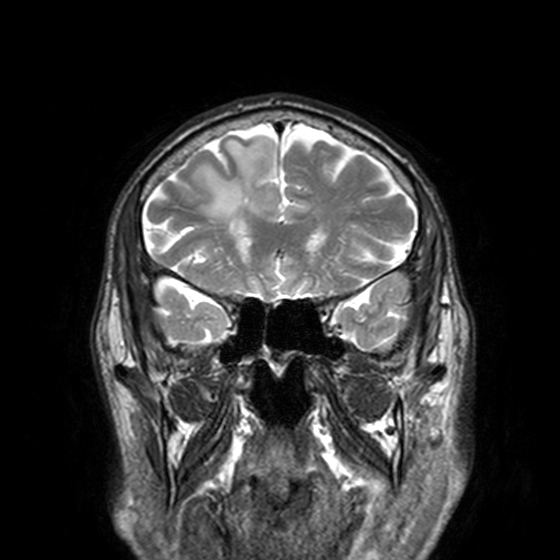
3 Tesla brain MRI. Series: T2-weighted turbo spin echo, 3 mm. Study: ring-enhancing brain masses.